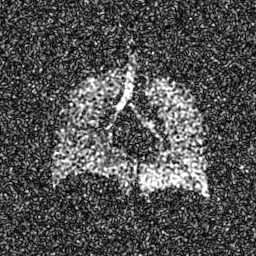
Clinical context: Hyperpolarized 129Xe ventilation MRI of the lungs. SNR level 8 of 8 (the deposit holds this scan as its native image and as seven SNR-degraded versions).